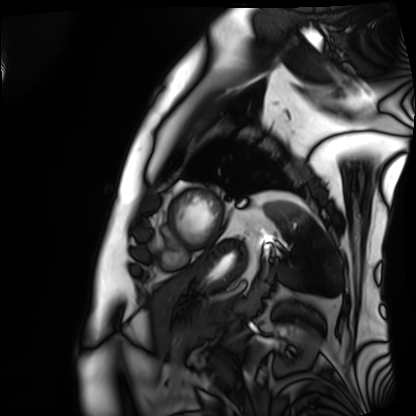
Cardiac MRI. Subject group: patient.